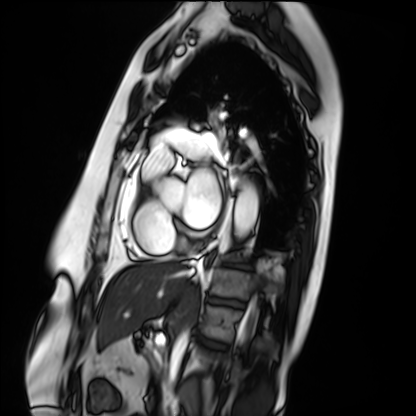
Cardiac MRI. Subject group: patient.